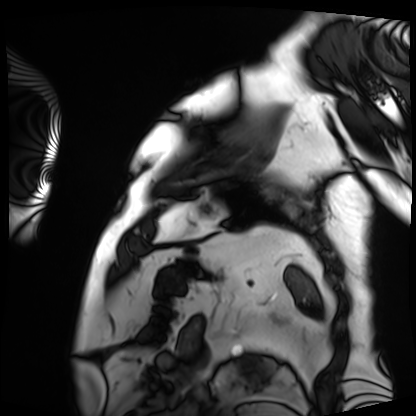
Summary: Cardiac MRI. Subject group: patient.